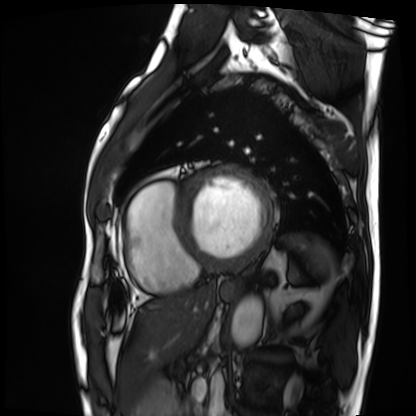
| field | value |
|---|---|
| modality | cardiac MRI |
| subject group | patient |